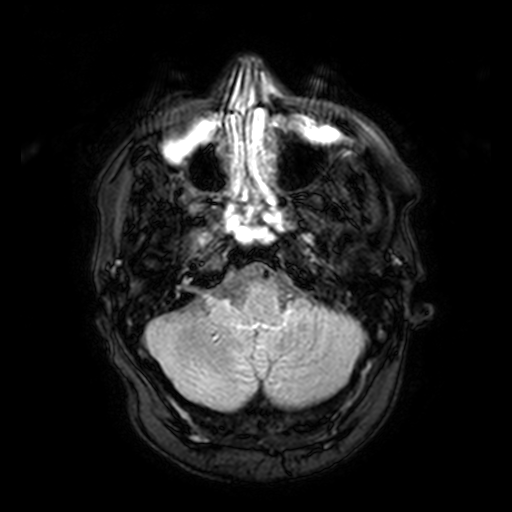
3 Tesla brain MRI. Series: FLAIR with SPAIR, 3 mm. Study: ring-enhancing brain masses.